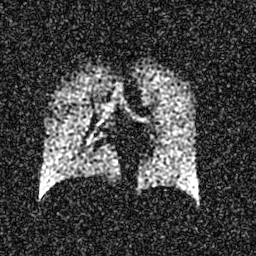
Hyperpolarized 129Xe ventilation MRI of the lungs. SNR level 5 of 8 (the deposit holds this scan as its native image and as seven SNR-degraded versions).